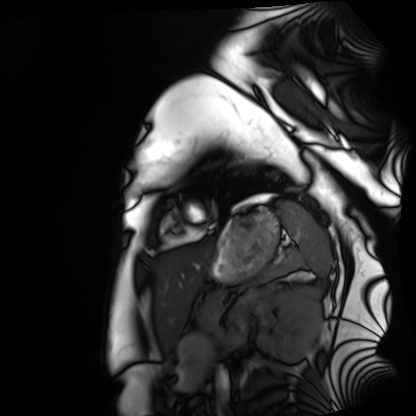
Cardiac MRI. Subject group: healthy volunteer.